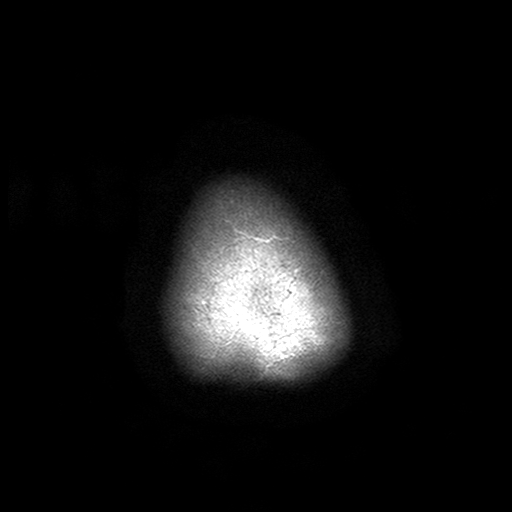
3 Tesla brain MRI.
Series: T2-weighted turbo spin echo with SENSE.
Study: ring-enhancing brain masses.